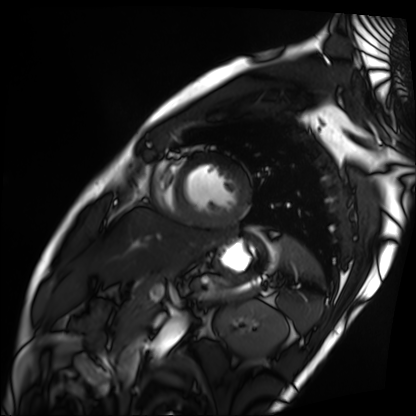
{"modality": "cardiac MRI", "cohort": "patient"}